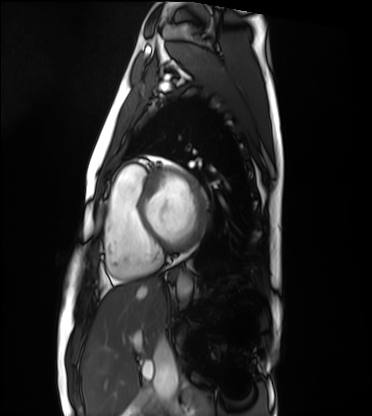
Cardiac MRI. Subject group: healthy volunteer.